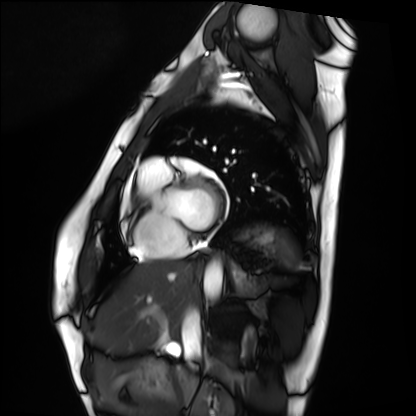
Case:
- modality · cardiac MRI
- subject group · healthy volunteer